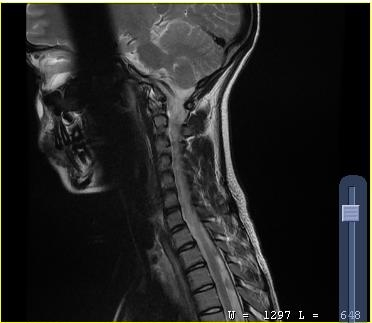
{"modality": {"type": "cervical spine MRI"}, "study_topic": "cervical spondylosis"}